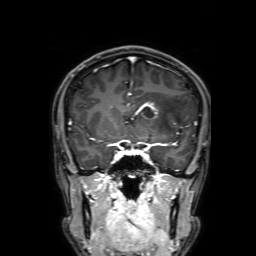
{
  "modality": {
    "type": "brain MRI",
    "field_strength": "3T"
  },
  "study_topic": "ring-enhancing brain masses"
}